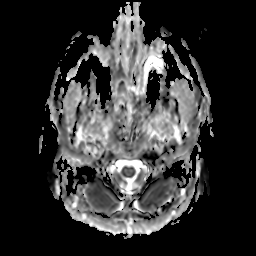
  modality:
    type: brain MRI
    field_strength: 3T
  series: apparent diffusion coefficient (ADC) map
  study_topic: ring-enhancing brain masses